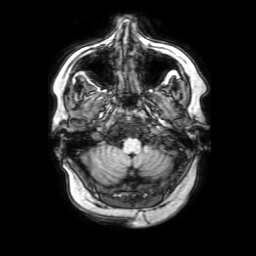
• modality: 3 Tesla brain MRI
• series: 3D T1-weighted with SENSE
• study: ring-enhancing brain masses